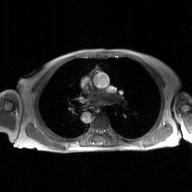
modality = 2D phase-contrast cine MRI of the ascending aorta, GAN super-resolution reconstruction.